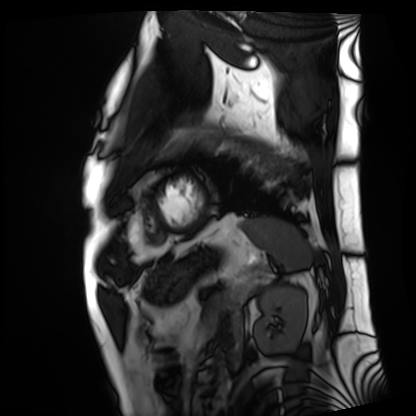
Q: What kind of scan is this?
A: Cardiac MRI.
Subject group: patient.